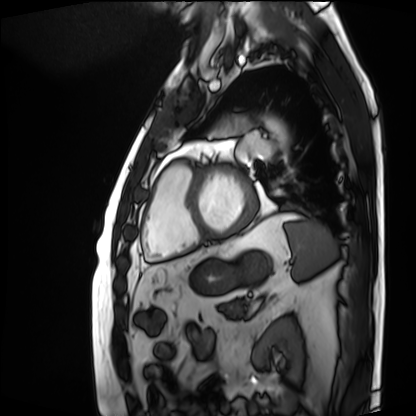
Case:
• modality: cardiac MRI
• subject group: patient